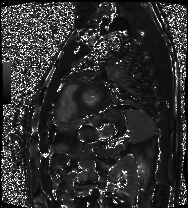
Cardiac MRI. Subject group: patient.